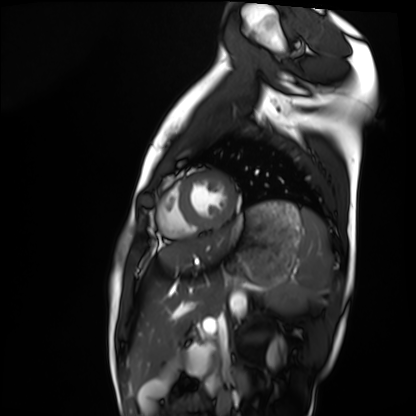
– modality · cardiac MRI
– subject group · healthy volunteer